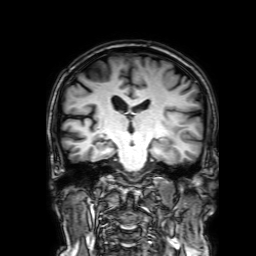
{
  "modality": {
    "type": "brain MRI",
    "field_strength": "3T"
  },
  "series": "3D T1-weighted with SENSE",
  "study_topic": "ring-enhancing brain masses"
}